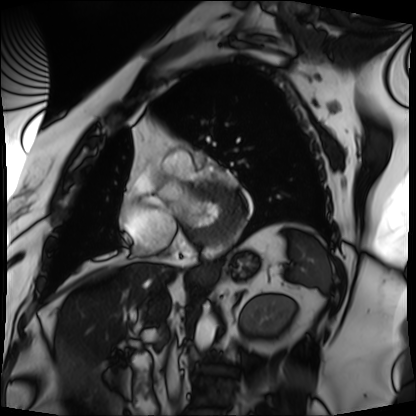
{"modality": "cardiac MRI", "cohort": "patient"}